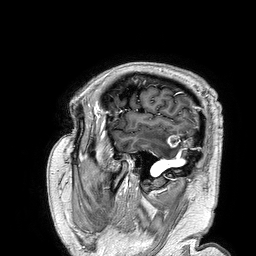
3 Tesla brain MRI.
Series: 3D T1-weighted turbo field echo.
Study: ring-enhancing brain masses.